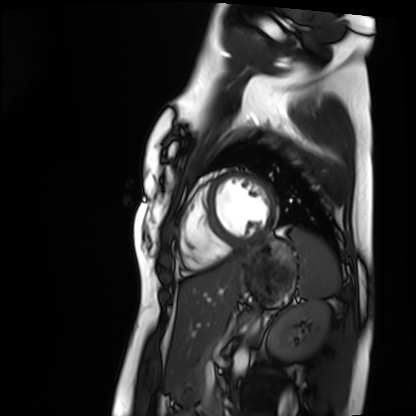
{
  "modality": "cardiac MRI",
  "cohort": "healthy volunteer"
}